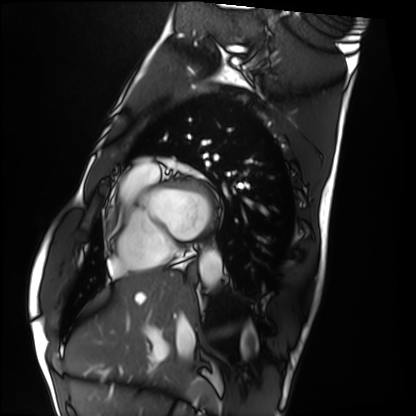
Q: What kind of scan is this?
A: Cardiac MRI.
Subject group: healthy volunteer.